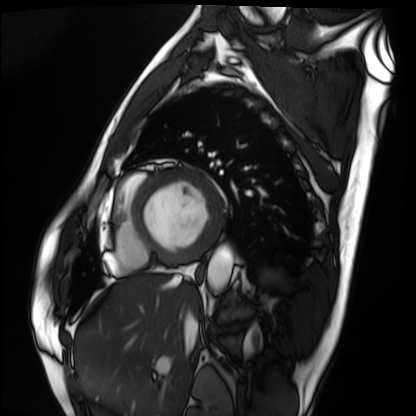
modality: cardiac MRI, subject group: patient.